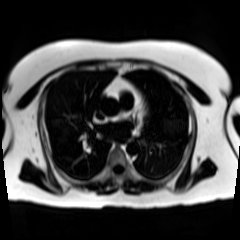
modality: chemical-shift-encoded cardiac MRI